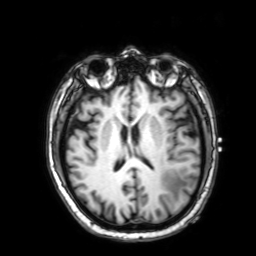
3 Tesla brain MRI. Series: 3D T1-weighted with SENSE. Study: ring-enhancing brain masses.